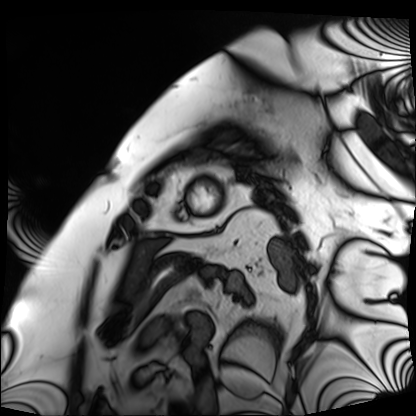
modality=cardiac MRI
subject group=patient